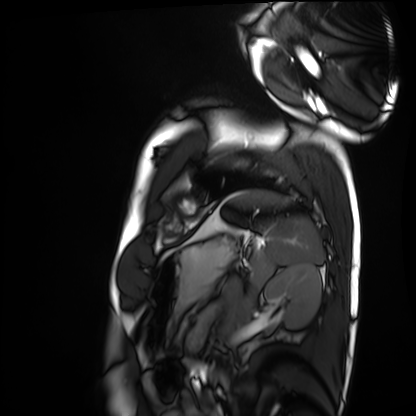
– modality — cardiac MRI
– subject group — healthy volunteer